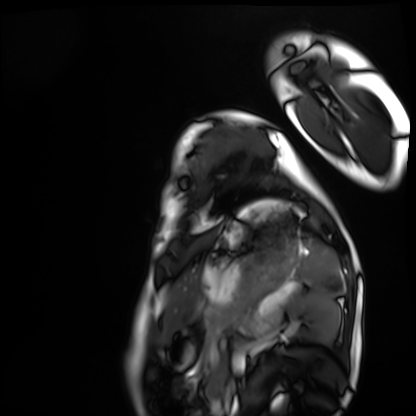
modality = cardiac MRI
subject group = healthy volunteer